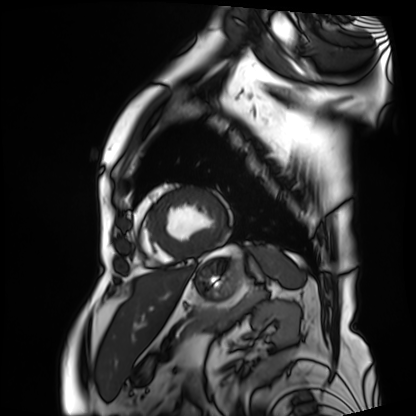
modality: cardiac MRI; subject group: patient.